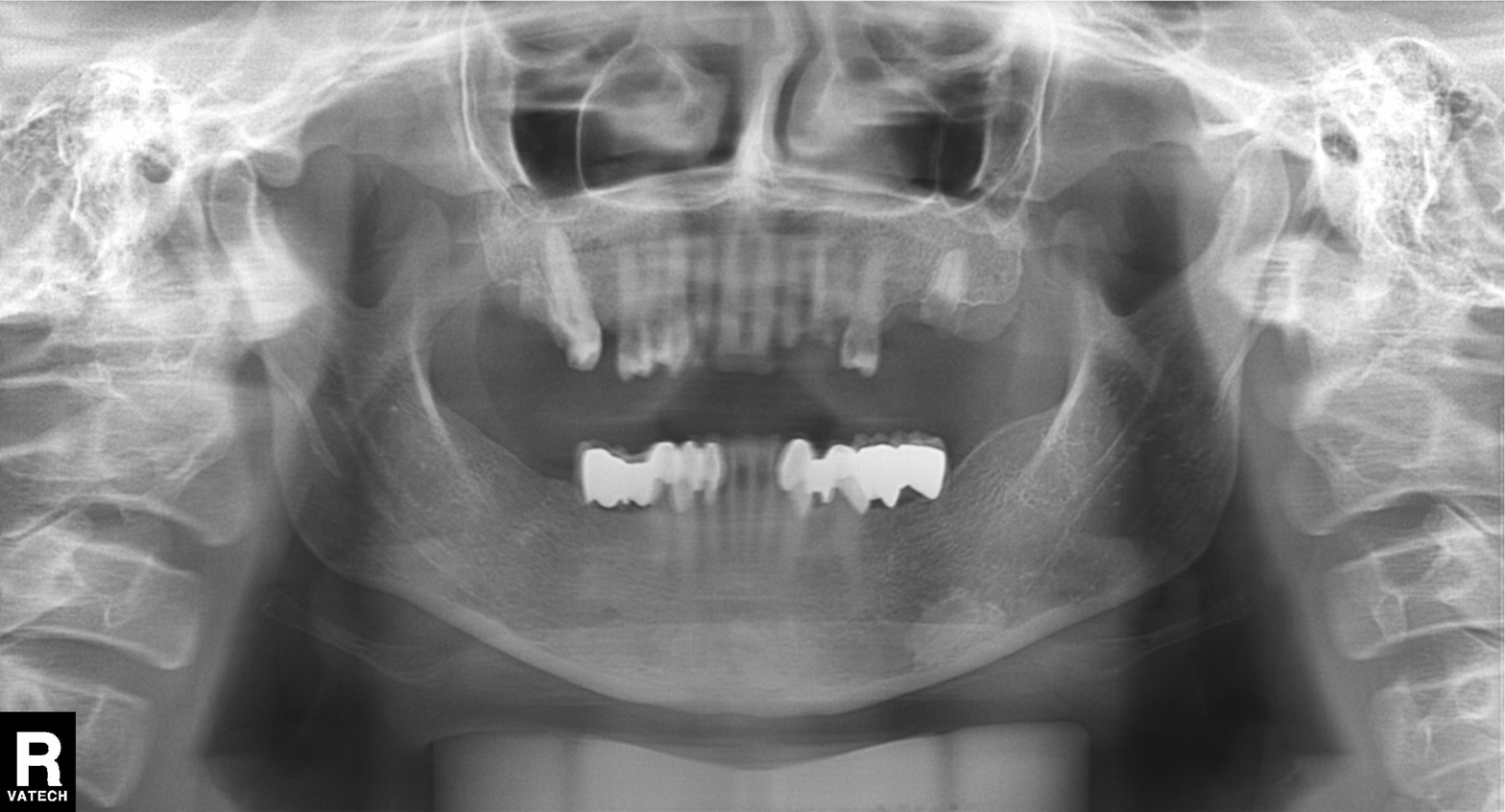
Panoramic dental radiograph (orthopantomogram). Finding: dental caries (cavities).